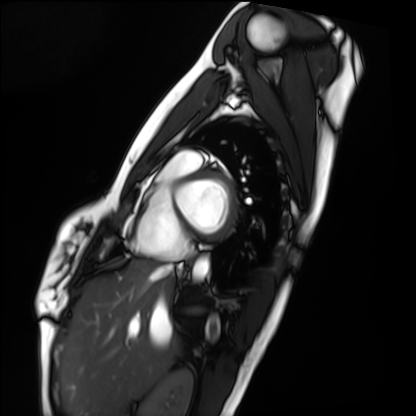
<case>
  <modality>cardiac MRI</modality>
  <cohort>healthy volunteer</cohort>
</case>